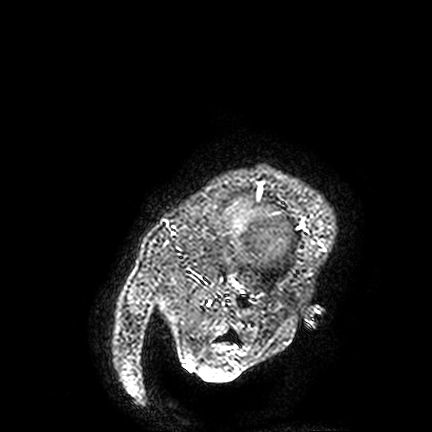
<study>
<modality>
  <type>brain MRI</type>
  <field_strength>3T</field_strength>
</modality>
<series>FLAIR VISTA</series>
<study_topic>ring-enhancing brain masses</study_topic>
</study>